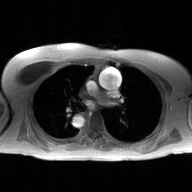
2D phase-contrast cine MRI of the ascending aorta, GAN super-resolution reconstruction.